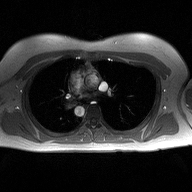
<case>
  <modality>
    <type>2D phase-contrast cine MRI</type>
    <region>ascending aorta</region>
    <reconstruction>high-resolution GRAPPA acquisition</reconstruction>
  </modality>
</case>